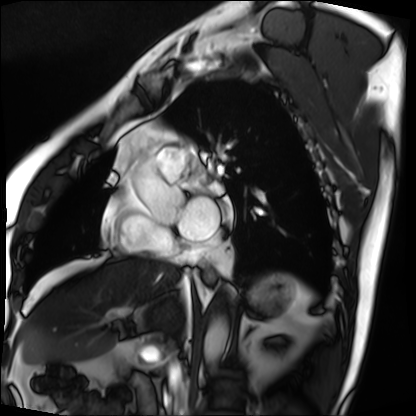
Case summary:
Cardiac MRI. Subject group: patient.